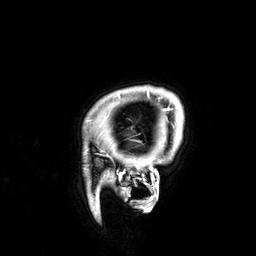
Case summary:
3 Tesla brain MRI. Series: 3D T1-weighted. Study: ring-enhancing brain masses.